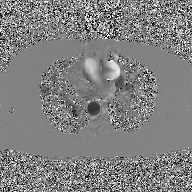
modality = 2D phase-contrast cine MRI of the ascending aorta, GAN super-resolution reconstruction.